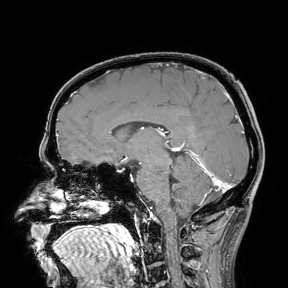
Summary: 3 Tesla brain MRI. Study: ring-enhancing brain masses.